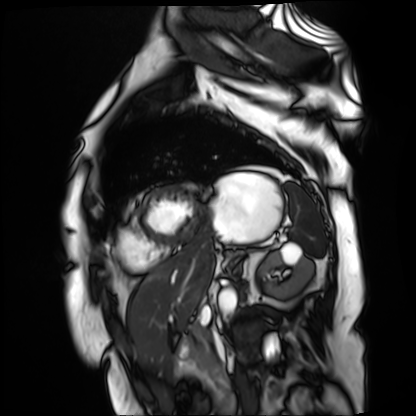
  modality: cardiac MR image of the myocardium
  cohort: cardiac patient